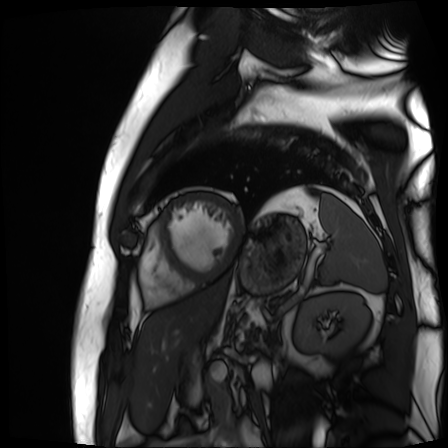
| field | value |
|---|---|
| modality | cardiac MR image of the myocardium |
| subject cohort | cardiac patient |